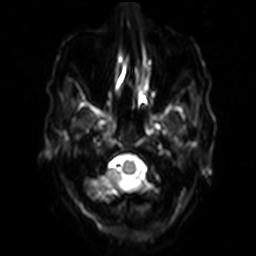
Case summary: 3 Tesla brain MRI. Series: diffusion-weighted imaging with SENSE (WIP). Study: ring-enhancing brain masses.